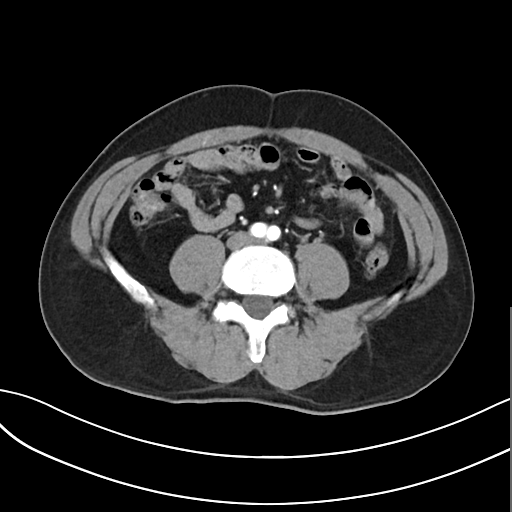
Case:
- modality · multiphase abdominal CT, liver, arterial phase
- patient · male, age 47
- history · cirrhosis, viral hepatitis